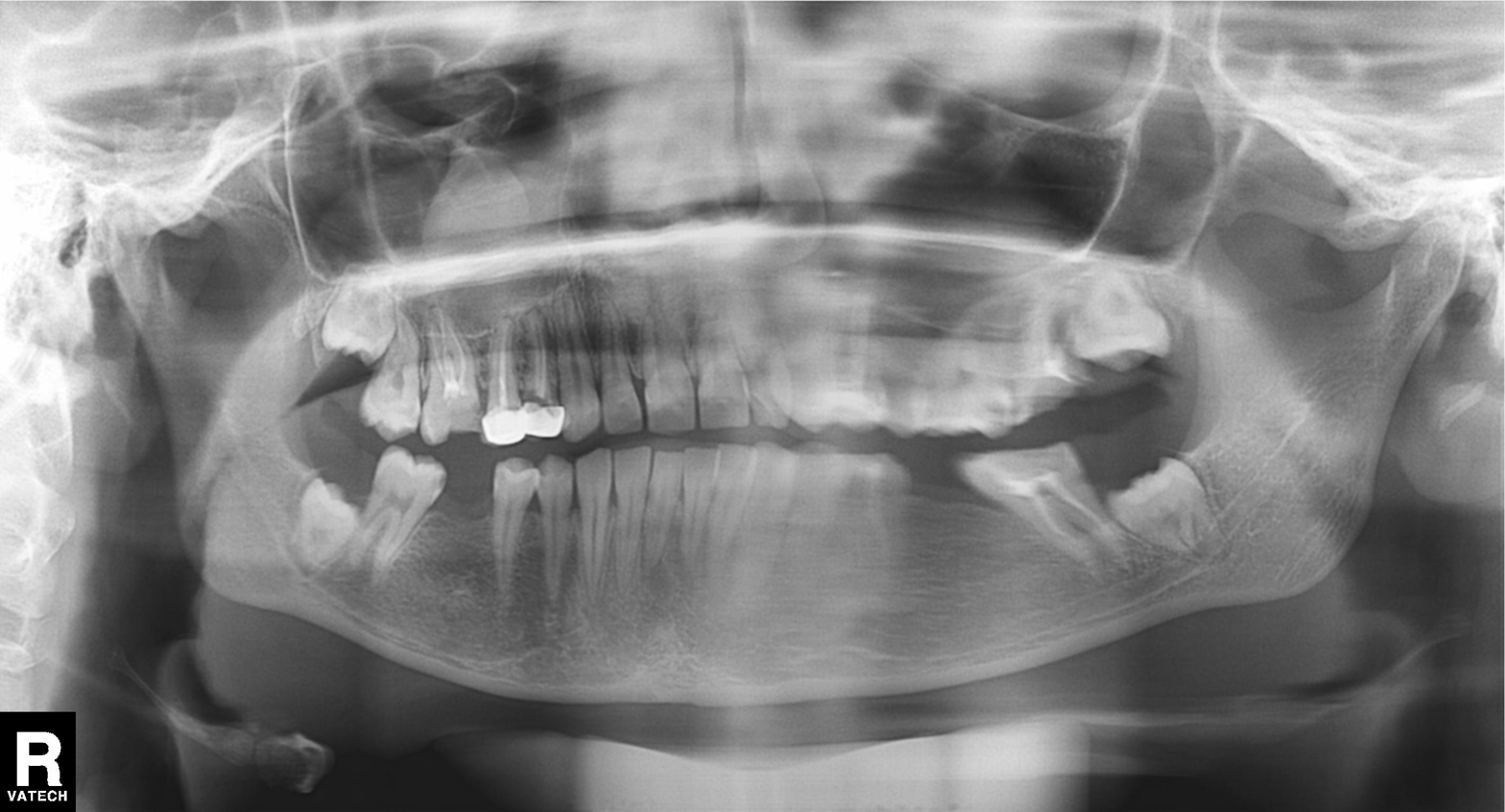
Panoramic dental radiograph (orthopantomogram). Finding: dental caries (cavities).